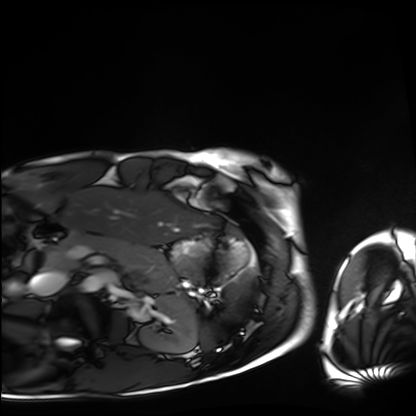
modality=cardiac MRI | subject group=healthy volunteer.